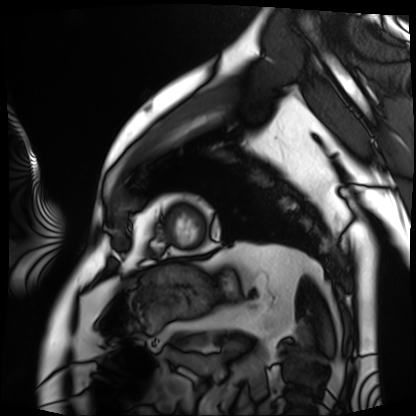
- modality — cardiac MRI
- subject group — patient